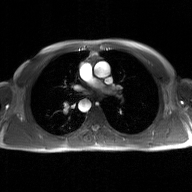
modality = 2D phase-contrast cine MRI of the ascending aorta, GAN super-resolution reconstruction.